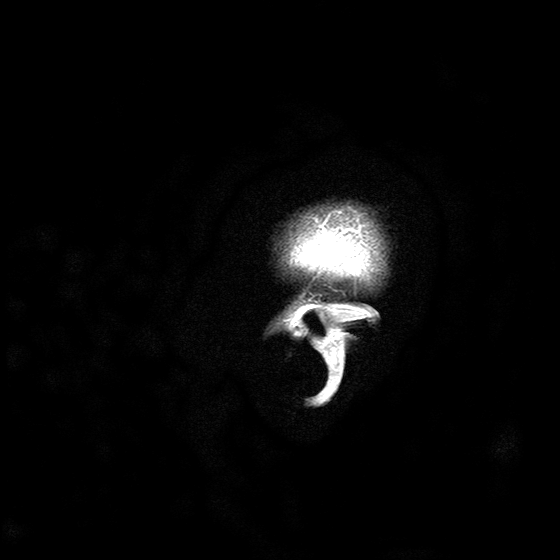
3 Tesla brain MRI.
Series: T2-weighted turbo spin echo with SENSE.
Study: ring-enhancing brain masses.